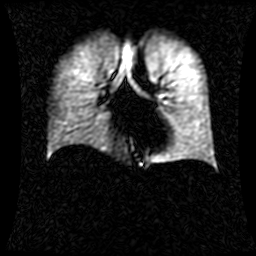
{"modality": "hyperpolarized 129Xe ventilation MRI of the lungs", "snr_level": "1 of 8 (the deposit holds this scan as its native image and as seven SNR-degraded versions)"}